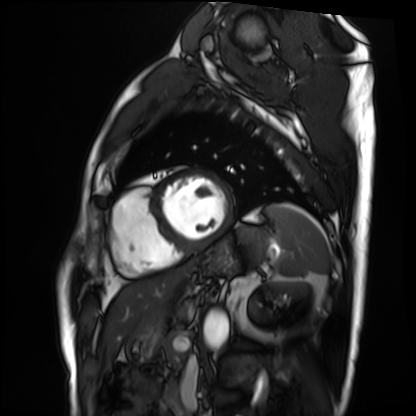
Cardiac MRI. Subject group: patient.